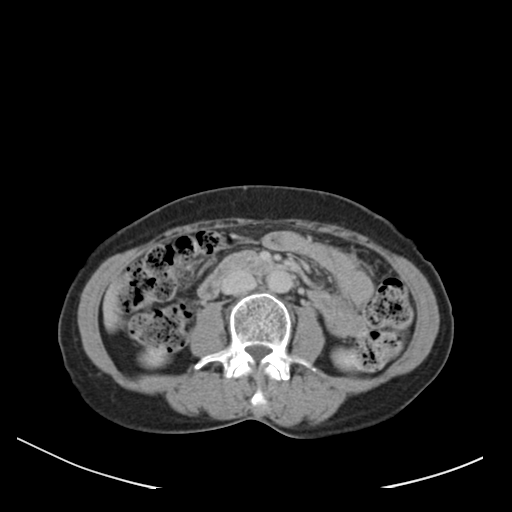
Case summary:
Multiphase abdominal CT, liver, delayed phase.